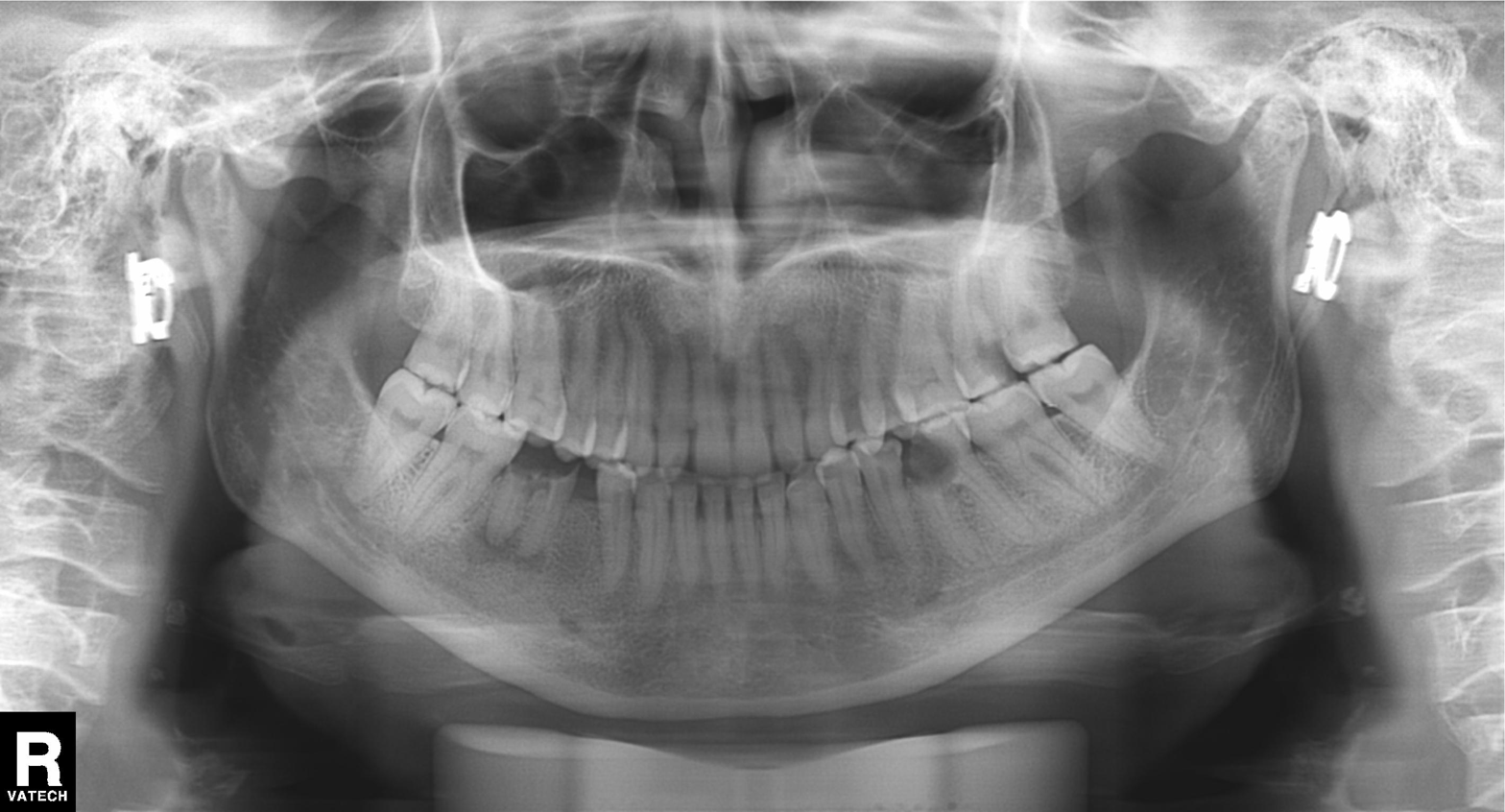
Panoramic dental radiograph (orthopantomogram). Finding: dental caries (cavities).